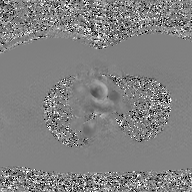
2D phase-contrast cine MRI of the ascending aorta, GAN super-resolution reconstruction.